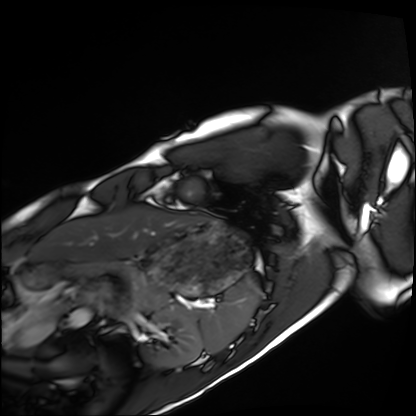
Q: What kind of scan is this?
A: Cardiac MRI.
Subject group: healthy volunteer.